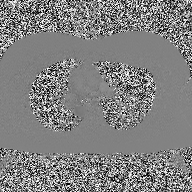
2D phase-contrast cine MRI of the ascending aorta, high-resolution GRAPPA acquisition.